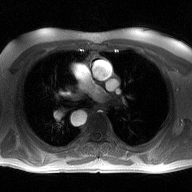
{"modality": {"type": "2D phase-contrast cine MRI", "region": "ascending aorta", "reconstruction": "high-resolution GRAPPA acquisition"}}